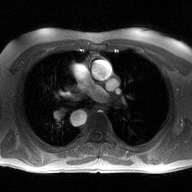
<study>
  <modality>
    <type>2D phase-contrast cine MRI</type>
    <region>ascending aorta</region>
    <reconstruction>high-resolution GRAPPA acquisition</reconstruction>
  </modality>
</study>